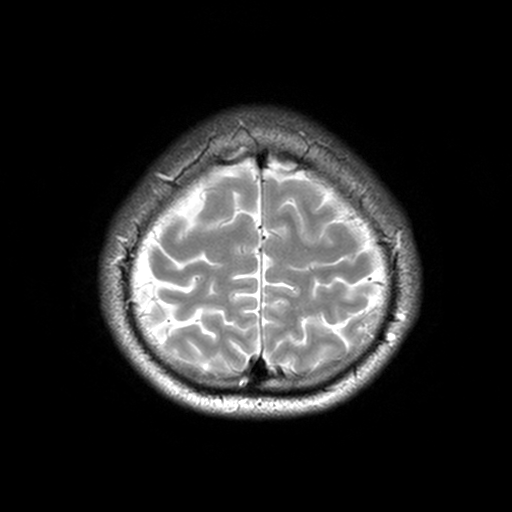
modality=3 Tesla brain MRI
series=T2-weighted turbo spin echo, 3 mm
study=ring-enhancing brain masses